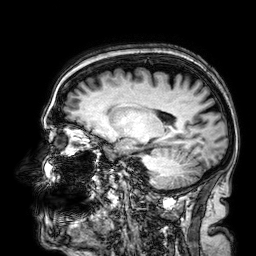
3 Tesla brain MRI. Series: 3D T1-weighted. Study: ring-enhancing brain masses.